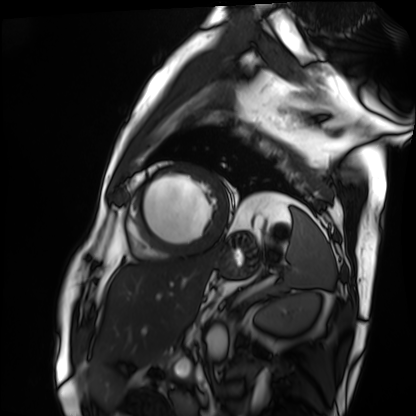
{
  "modality": "cardiac MRI",
  "cohort": "patient"
}